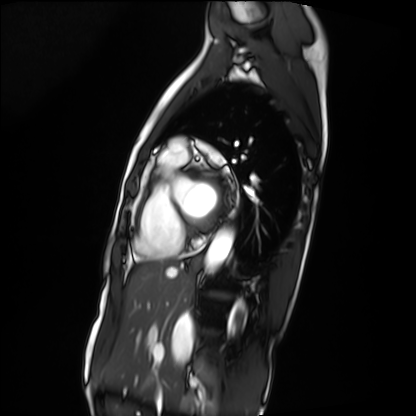
Cardiac MRI. Subject group: patient.